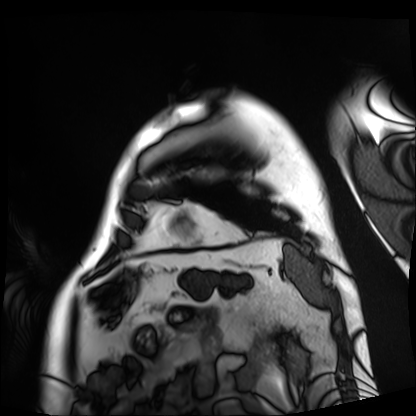
Cardiac MRI.
Subject group: patient.